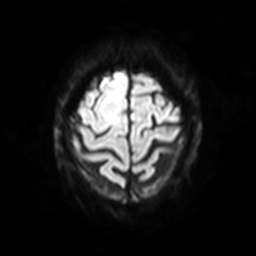
Case:
* modality: 3 Tesla brain MRI
* series: diffusion-weighted imaging with SENSE (WIP)
* study: ring-enhancing brain masses